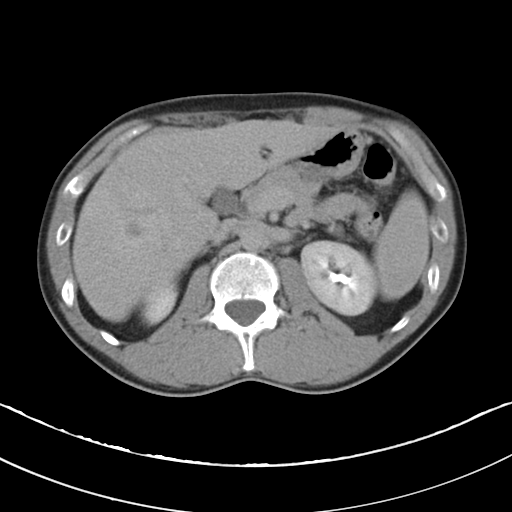
<scan>
  <modality>
    <type>multiphase abdominal CT</type>
    <region>liver</region>
    <phase>delayed</phase>
  </modality>
  <patient>
    <sex>male</sex>
    <age>37</age>
  </patient>
</scan>